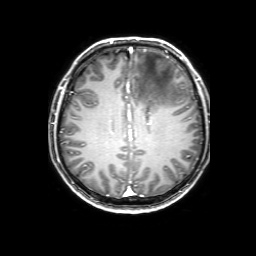
- modality: 3 Tesla brain MRI
- series: 3D T1-weighted with SENSE
- study: ring-enhancing brain masses